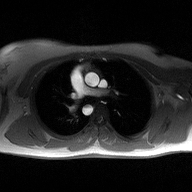
2D phase-contrast cine MRI of the ascending aorta, high-resolution GRAPPA acquisition.